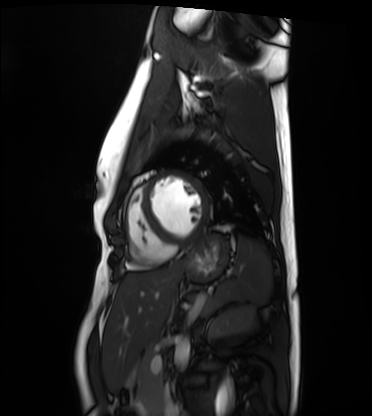
Cardiac MRI. Subject group: healthy volunteer.